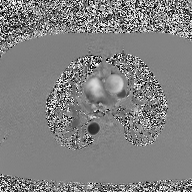
• modality · 2D phase-contrast cine MRI of the ascending aorta